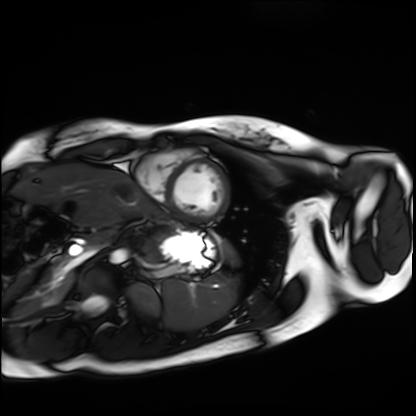
* modality: cardiac MRI
* subject group: healthy volunteer